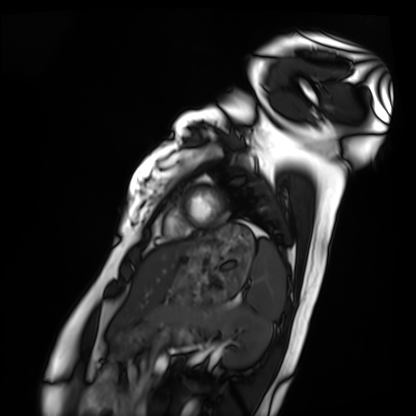
Summary:
Cardiac MRI. Subject group: healthy volunteer.